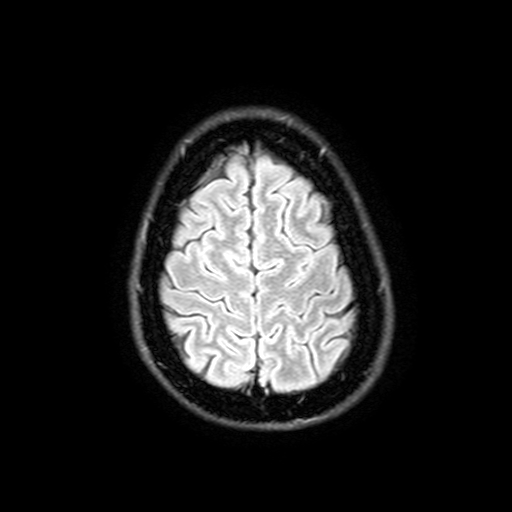
3 Tesla brain MRI.
Study: ring-enhancing brain masses.